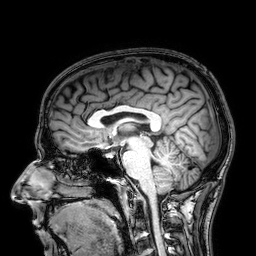
Q: What kind of scan is this?
A: 3 Tesla brain MRI.
Q: Series?
A: 3D T1-weighted.
Study: ring-enhancing brain masses.